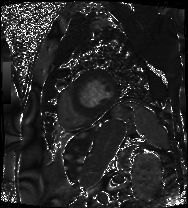
modality: cardiac MRI
subject group: patient